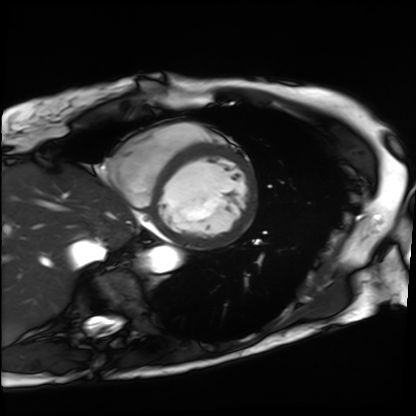
modality = cardiac MRI; subject group = patient.